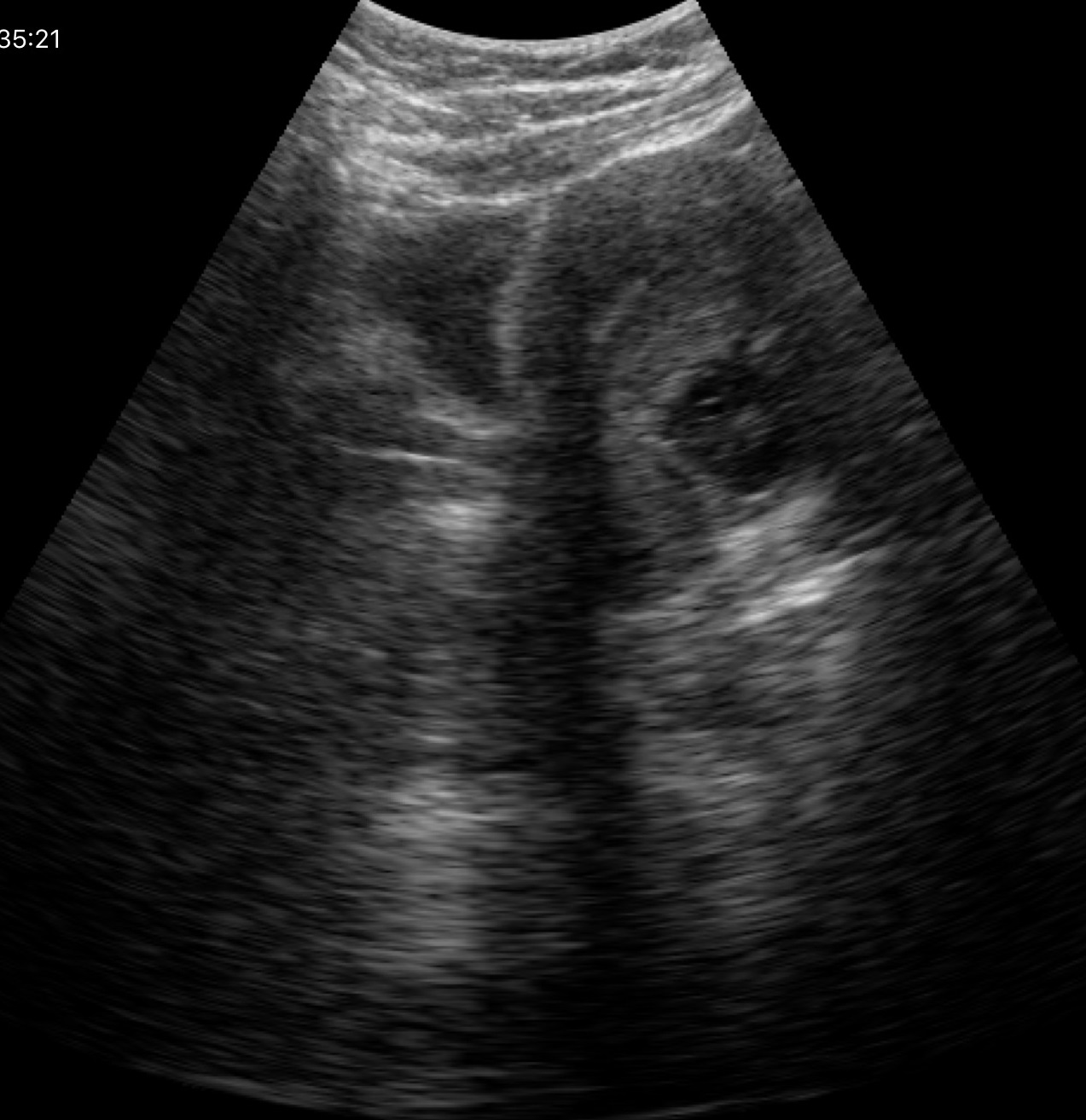
modality: genitourinary ultrasound.